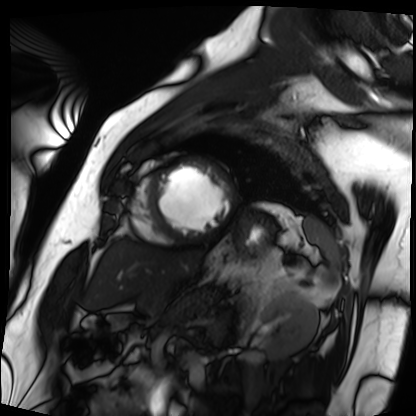
| field | value |
|---|---|
| modality | cardiac MRI |
| subject group | patient |